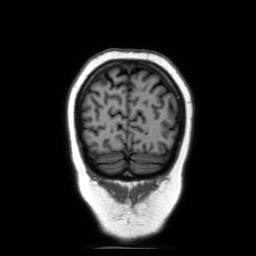
Q: What kind of scan is this?
A: 3 Tesla brain MRI.
Q: Series?
A: Coronal without contrast.
Study: ring-enhancing brain masses.